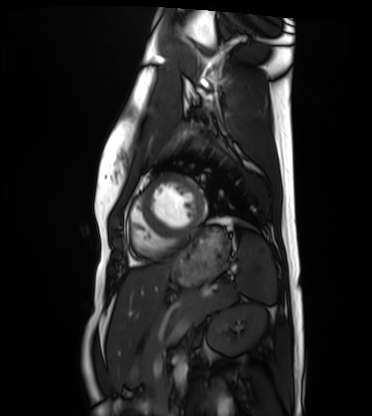
Q: What kind of scan is this?
A: Cardiac MRI.
Subject group: healthy volunteer.